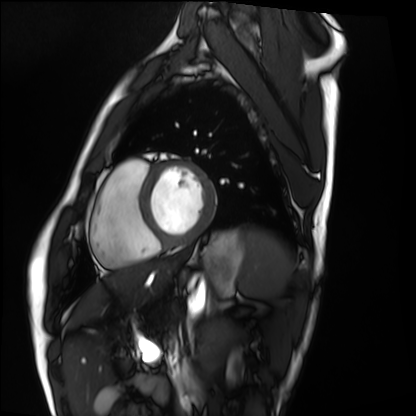
Q: What kind of scan is this?
A: Cardiac MRI.
Subject group: healthy volunteer.